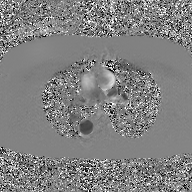
Case summary:
2D phase-contrast cine MRI of the ascending aorta, GAN super-resolution reconstruction.